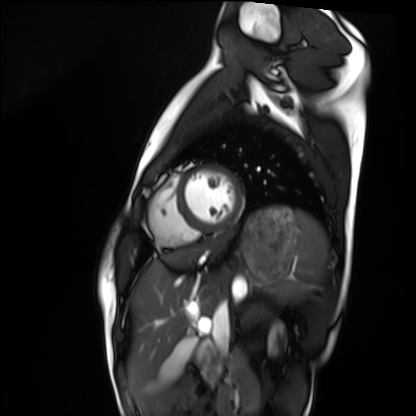
Cardiac MRI. Subject group: healthy volunteer.